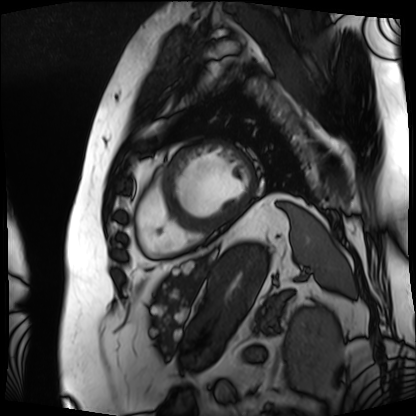
modality — cardiac MRI; subject group — patient.